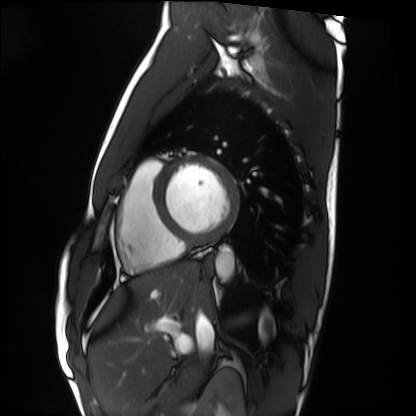
Case:
* modality — cardiac MRI
* subject group — healthy volunteer